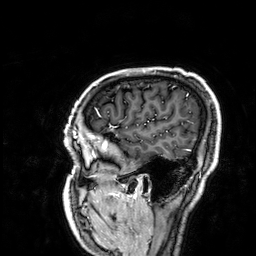
Summary: 3 Tesla brain MRI. Series: 3D T1-weighted. Study: ring-enhancing brain masses.